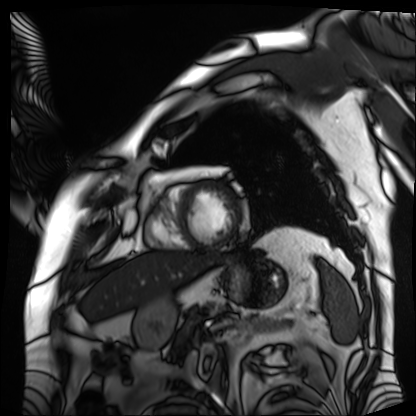
Cardiac MRI.
Subject group: patient.